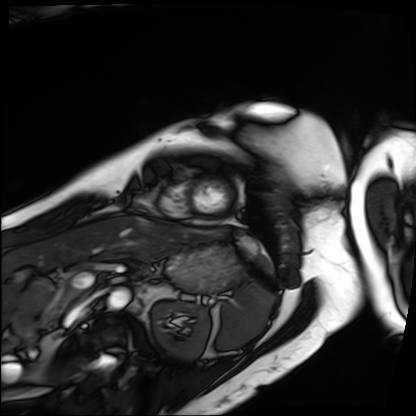
modality — cardiac MRI | subject group — patient.